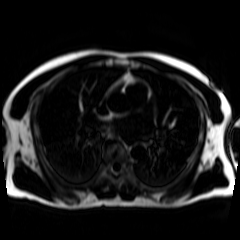
Chemical-shift-encoded cardiac MRI.